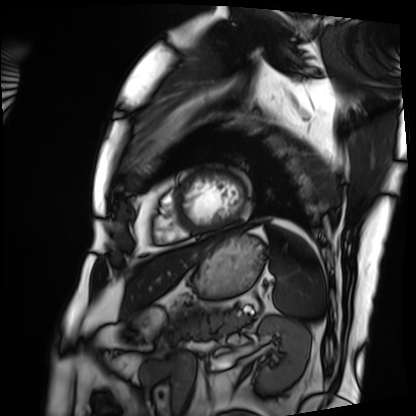
{"modality": "cardiac MRI", "cohort": "patient"}